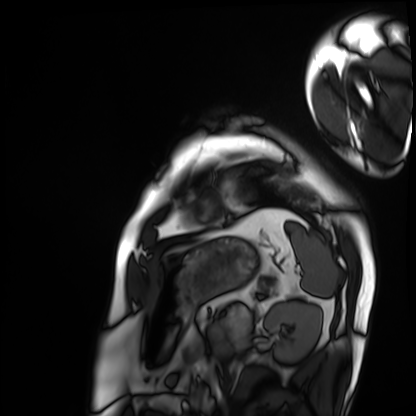
Cardiac MRI.
Subject group: patient.